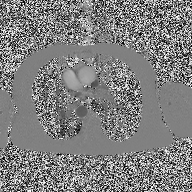
modality: 2D phase-contrast cine MRI of the ascending aorta